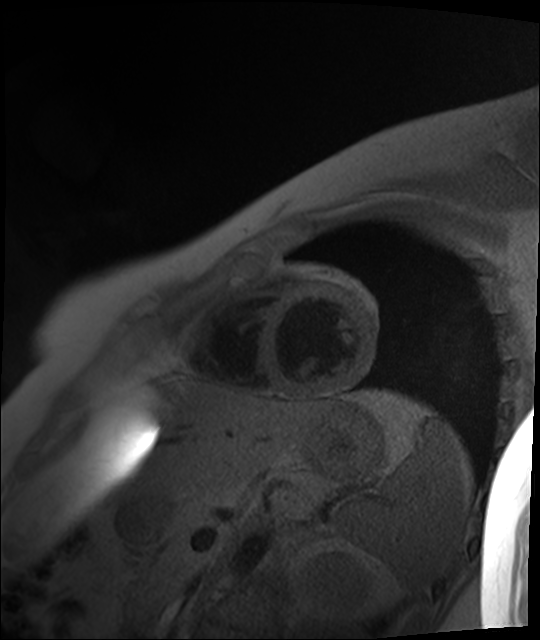
modality: cardiac MR image of the myocardium
cohort: healthy volunteer